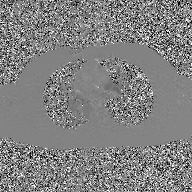
Case summary:
2D phase-contrast cine MRI of the ascending aorta, GAN super-resolution reconstruction.